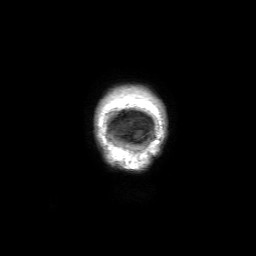
modality=3 Tesla brain MRI
series=3D T1-weighted with SENSE
study=ring-enhancing brain masses